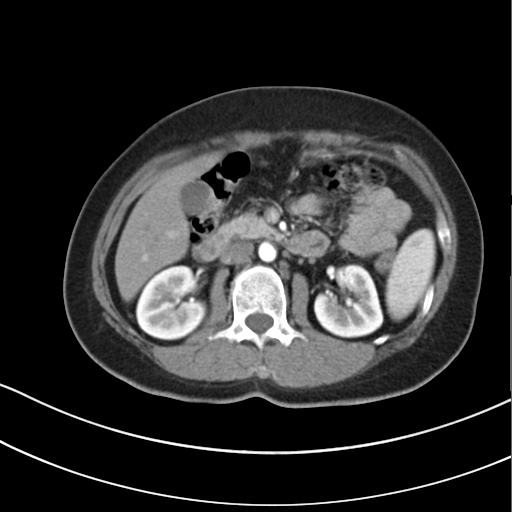
Multiphase abdominal CT, liver, arterial phase. Patient: female, age 47.